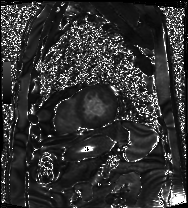
Cardiac MRI. Subject group: patient.